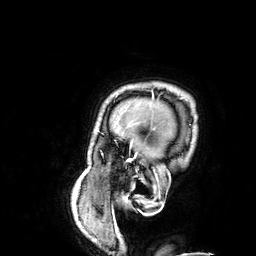
Q: What kind of scan is this?
A: 3 Tesla brain MRI.
Q: Series?
A: 3D T1-weighted.
Study: ring-enhancing brain masses.